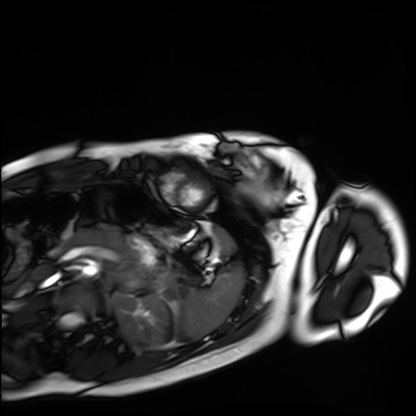
Case summary:
Cardiac MRI. Subject group: healthy volunteer.